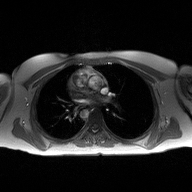
  modality:
    type: 2D phase-contrast cine MRI
    region: ascending aorta
    reconstruction: high-resolution GRAPPA acquisition